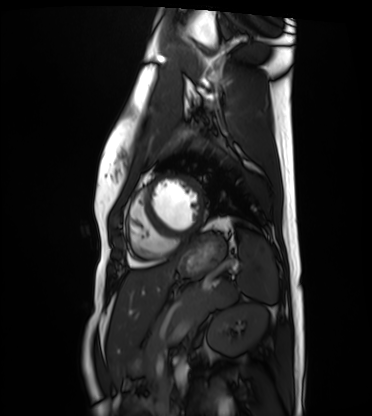
modality: cardiac MRI; subject group: healthy volunteer.